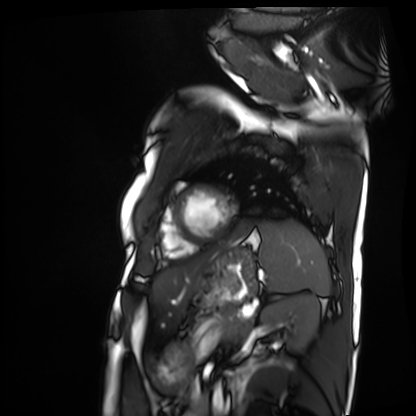
Case summary:
Cardiac MRI. Subject group: patient.